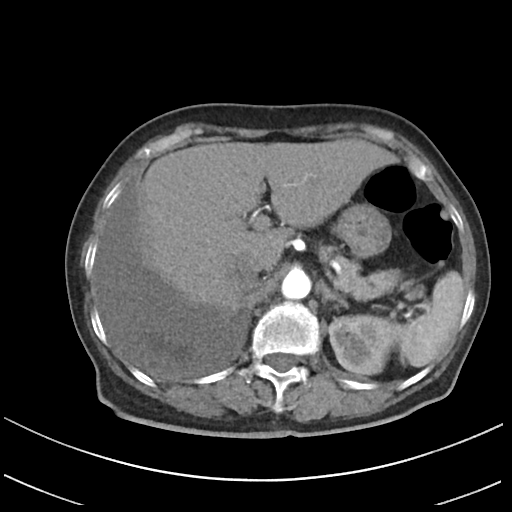
– modality — multiphase abdominal CT, liver, arterial phase